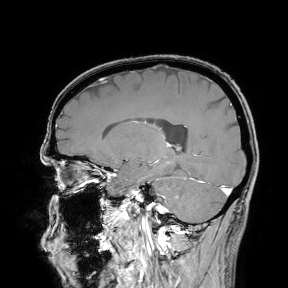
3 Tesla brain MRI.
Study: ring-enhancing brain masses.